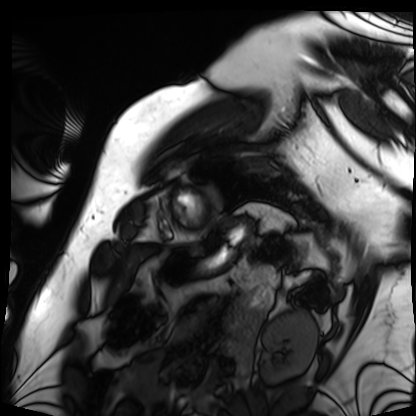
| field | value |
|---|---|
| modality | cardiac MRI |
| subject group | patient |